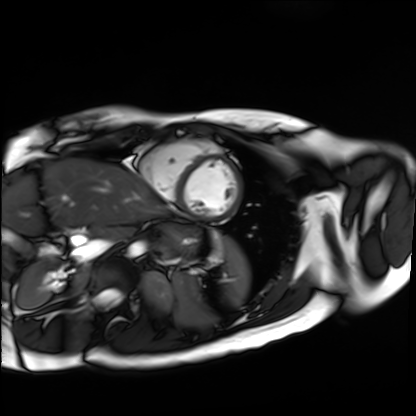
– modality — cardiac MR image of the myocardium
– subject cohort — healthy volunteer